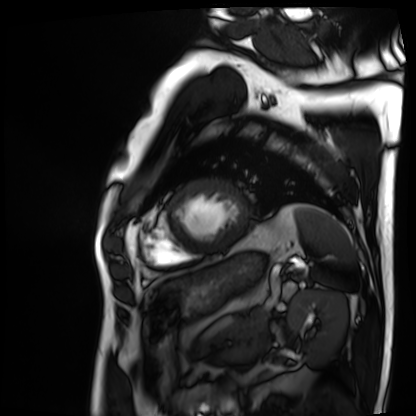
Cardiac MRI. Subject group: patient.